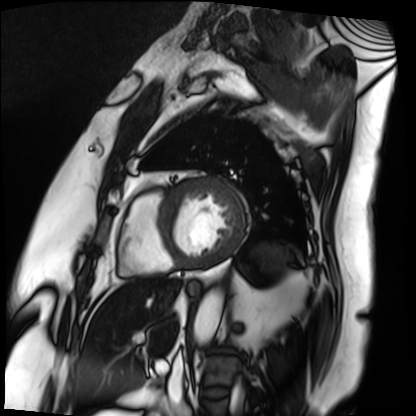
modality: cardiac MRI | subject group: patient.